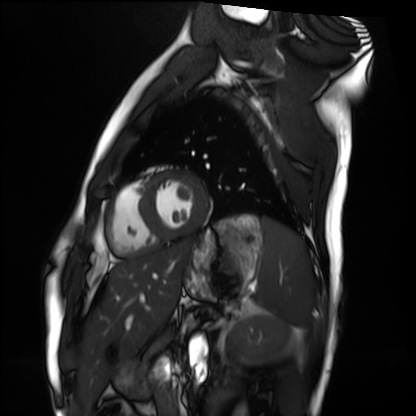
• modality — cardiac MRI
• subject group — healthy volunteer